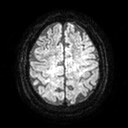
Case summary:
3 Tesla brain MRI. Series: diffusion tensor imaging (medium iso). Study: ring-enhancing brain masses.